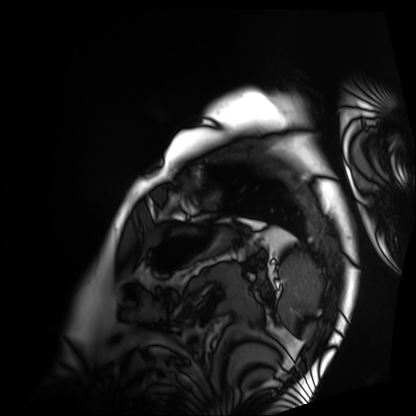
Case summary: Cardiac MRI. Subject group: patient.